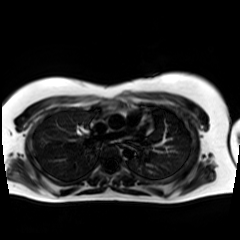
modality: chemical-shift-encoded cardiac MRI.